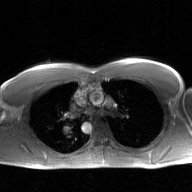
Case summary: 2D phase-contrast cine MRI of the ascending aorta, GAN super-resolution reconstruction.